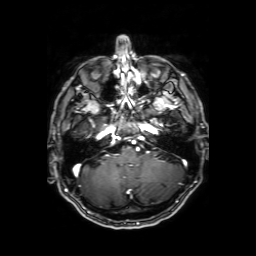
Q: What kind of scan is this?
A: 3 Tesla brain MRI.
Q: Series?
A: Axial T1-weighted fusion image.
Study: ring-enhancing brain masses.